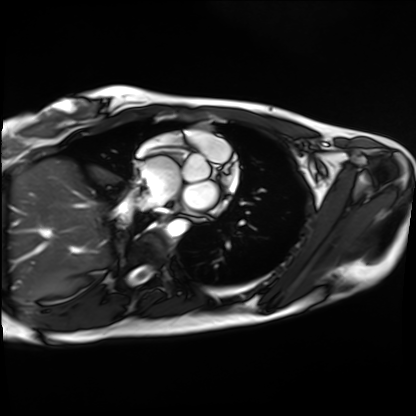
Cardiac MRI. Subject group: healthy volunteer.